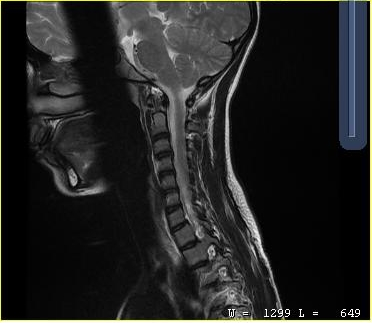
MRI of the cervical spine. Study: cervical spondylosis.